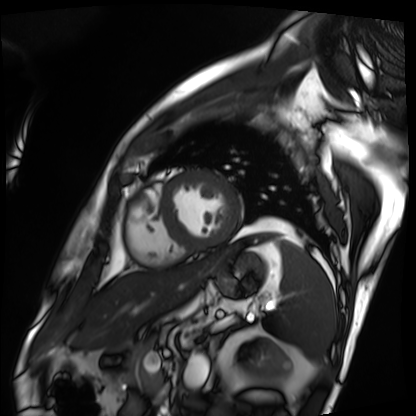
Summary: Cardiac MRI. Subject group: patient.